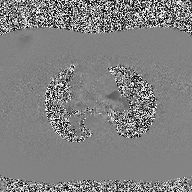
Case:
* modality — 2D phase-contrast cine MRI of the ascending aorta